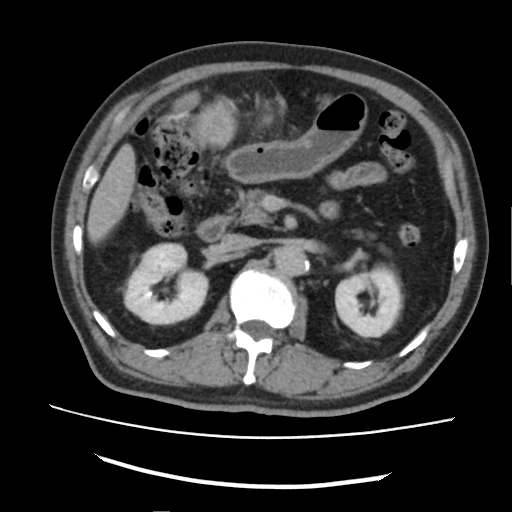
Multiphase abdominal CT, liver, delayed phase.